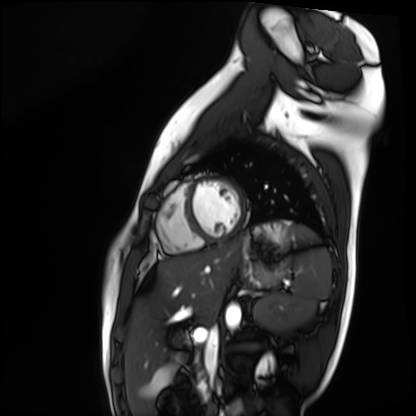
Q: What kind of scan is this?
A: Cardiac MR image of the myocardium.
Subject cohort: healthy volunteer.